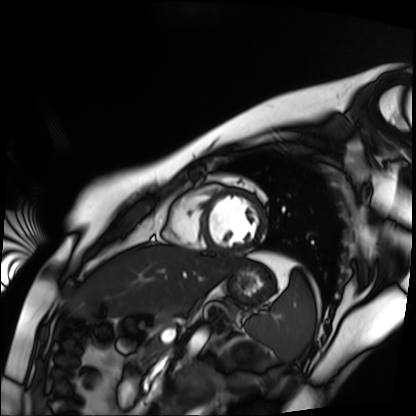
modality = cardiac MR image of the myocardium | subject cohort = healthy volunteer.